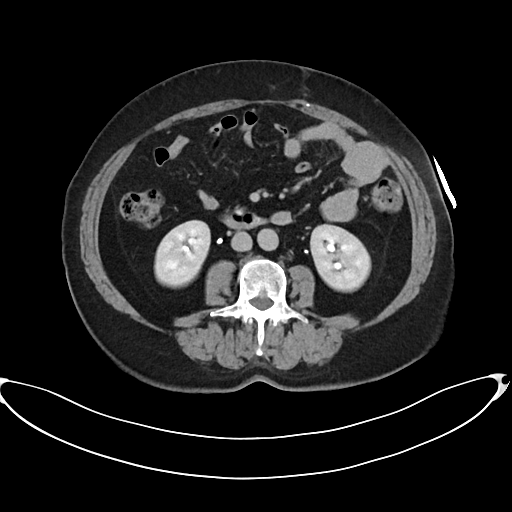
modality = multiphase abdominal CT, liver, delayed phase
patient = female, age 60
history = prior chemotherapy